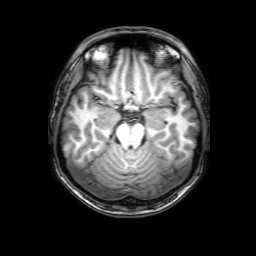
{"modality": {"type": "brain MRI", "field_strength": "3T"}, "series": "3D T1-weighted with SENSE", "study_topic": "ring-enhancing brain masses"}